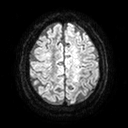
modality = 3 Tesla brain MRI | series = diffusion tensor imaging (medium iso) | study = ring-enhancing brain masses.